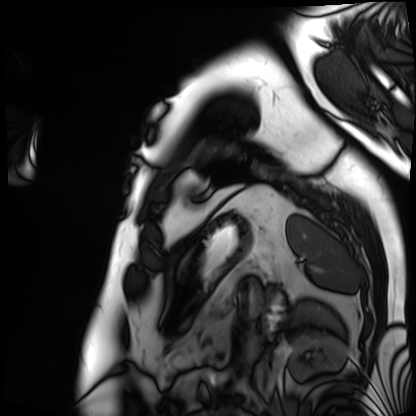
modality: cardiac MRI | subject group: patient.